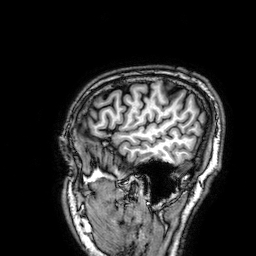
| field | value |
|---|---|
| modality | 3 Tesla brain MRI |
| series | 3D T1-weighted |
| study | ring-enhancing brain masses |